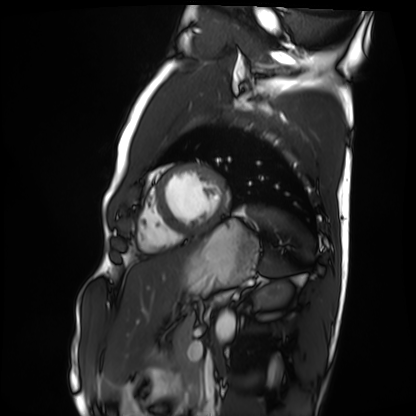
modality: cardiac MRI, subject group: healthy volunteer.